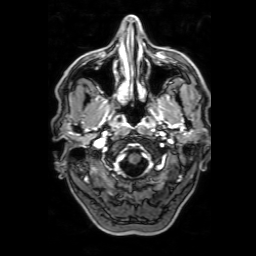
3 Tesla brain MRI. Series: 3D T1-weighted with SENSE. Study: ring-enhancing brain masses.